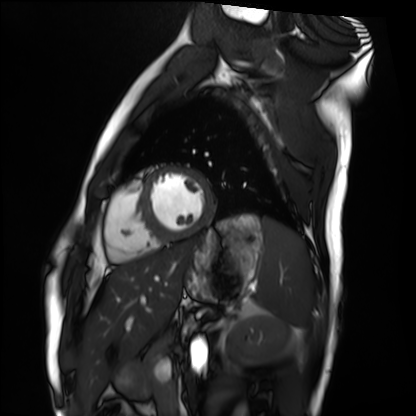
Case summary:
Cardiac MRI. Subject group: healthy volunteer.